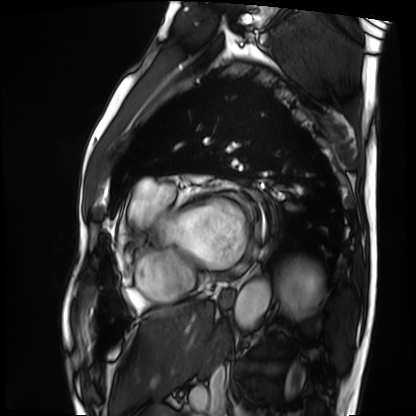
<scan>
<modality>cardiac MRI</modality>
<cohort>patient</cohort>
</scan>